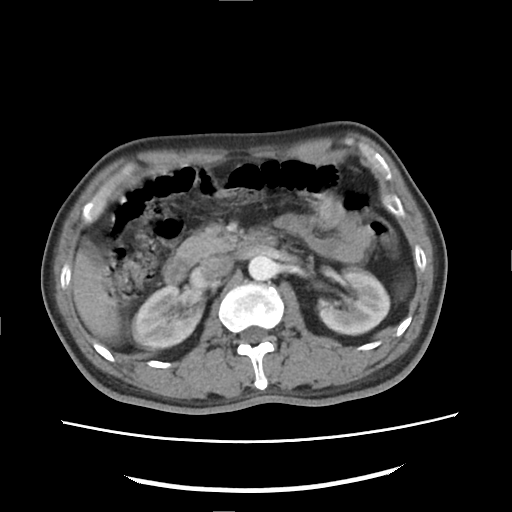
Case:
• modality: multiphase abdominal CT, liver, arterial phase
• patient: male, age 49